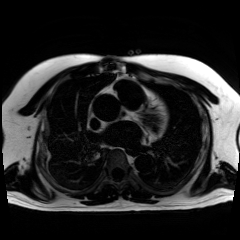
modality = chemical-shift-encoded cardiac MRI.